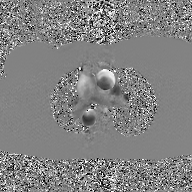
modality: 2D phase-contrast cine MRI of the ascending aorta, GAN super-resolution reconstruction.